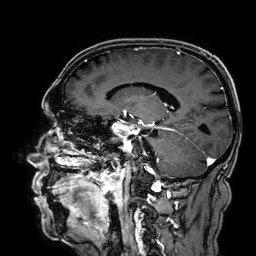
modality = 3 Tesla brain MRI
series = 3D T1-weighted
study = ring-enhancing brain masses